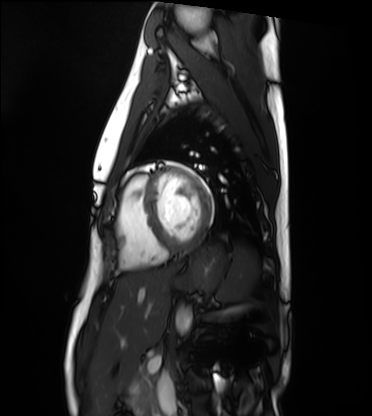
* modality · cardiac MRI
* subject group · healthy volunteer